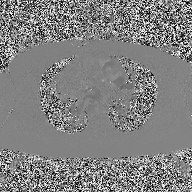
2D phase-contrast cine MRI of the ascending aorta, high-resolution GRAPPA acquisition.